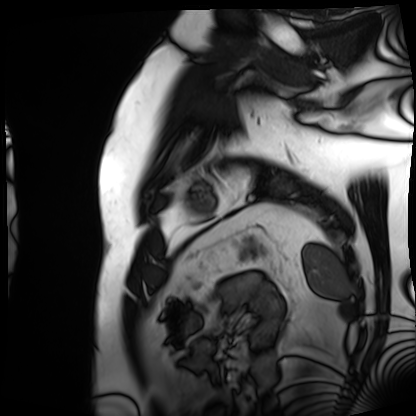
Q: What kind of scan is this?
A: Cardiac MRI.
Subject group: patient.